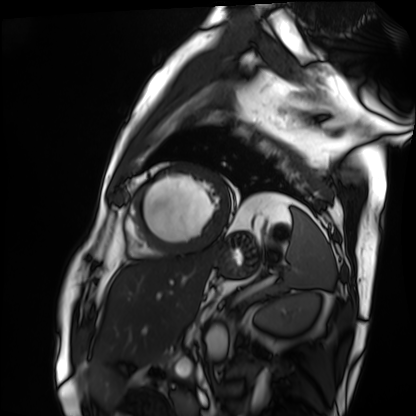
modality=cardiac MRI; subject group=patient.